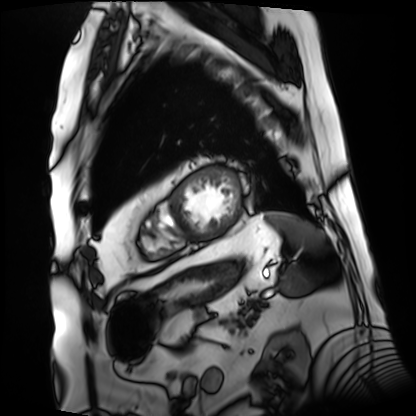
Case summary:
Cardiac MRI. Subject group: patient.